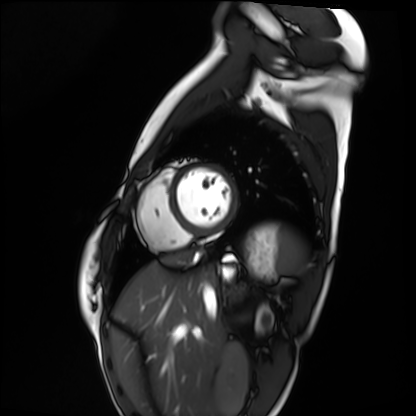
Cardiac MRI.
Subject group: healthy volunteer.